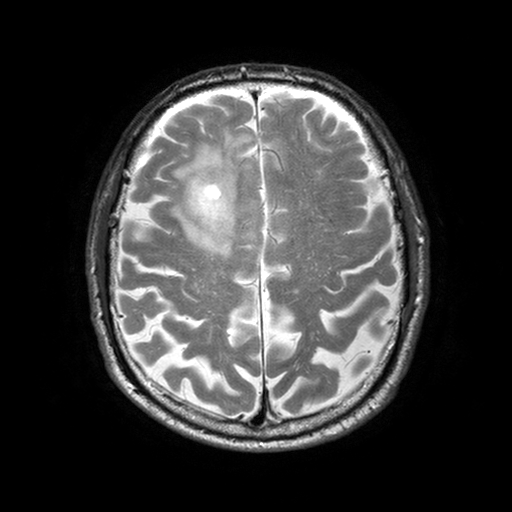
3 Tesla brain MRI.
Series: T2-weighted turbo spin echo with SENSE.
Study: ring-enhancing brain masses.